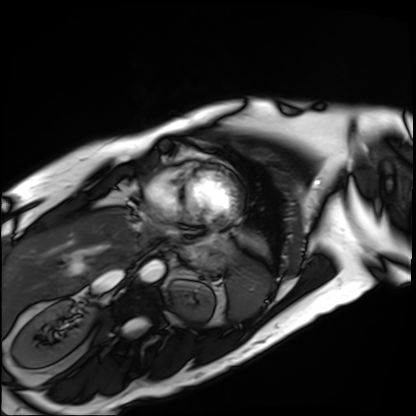
<study>
<modality>cardiac MRI</modality>
<cohort>patient</cohort>
</study>